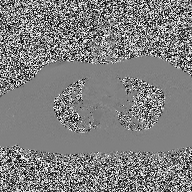
2D phase-contrast cine MRI of the ascending aorta, high-resolution GRAPPA acquisition.